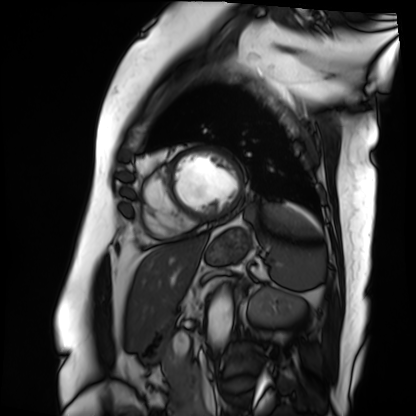
Summary: Cardiac MRI. Subject group: patient.